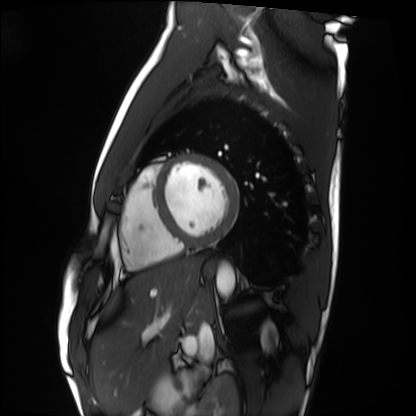
Q: What kind of scan is this?
A: Cardiac MRI.
Subject group: healthy volunteer.